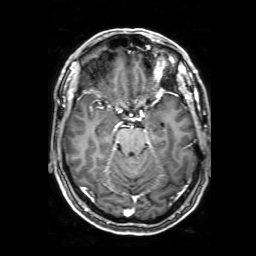
<case>
  <modality>
    <type>brain MRI</type>
    <field_strength>3T</field_strength>
  </modality>
  <series>3D T1-weighted with SENSE</series>
  <study_topic>ring-enhancing brain masses</study_topic>
</case>